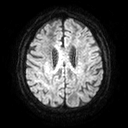
modality: 3 Tesla brain MRI; series: diffusion tensor imaging (medium iso); study: ring-enhancing brain masses.